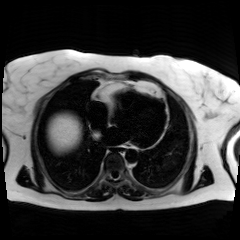
Chemical-shift-encoded cardiac MRI.